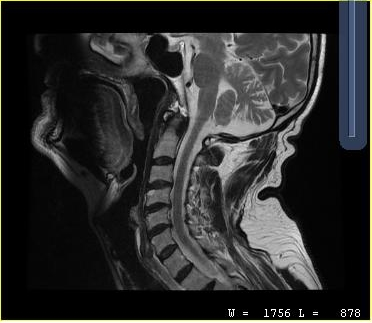
modality = MRI of the cervical spine | study = cervical spondylosis.